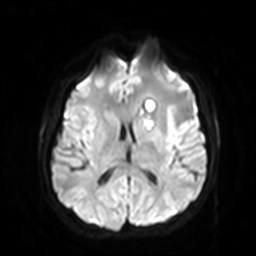
Summary:
3 Tesla brain MRI. Series: diffusion-weighted imaging with SENSE (WIP). Study: ring-enhancing brain masses.